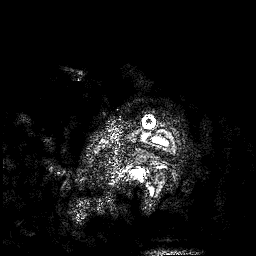
Summary:
3 Tesla brain MRI. Series: 3D T1-weighted. Study: ring-enhancing brain masses.